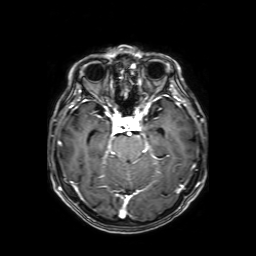
| field | value |
|---|---|
| modality | 3 Tesla brain MRI |
| series | axial T1-weighted fusion image |
| study | ring-enhancing brain masses |